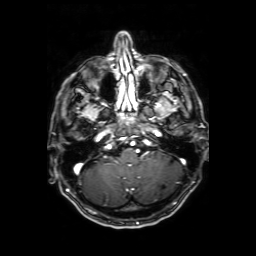
– modality: 3 Tesla brain MRI
– series: axial T1-weighted fusion image
– study: ring-enhancing brain masses